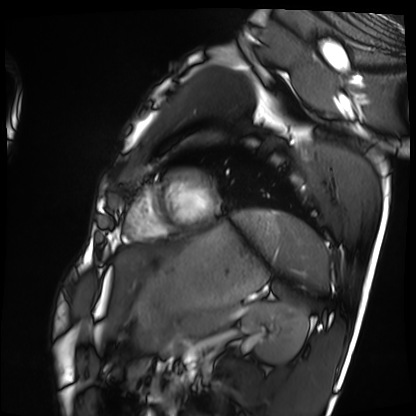
Cardiac MRI. Subject group: healthy volunteer.